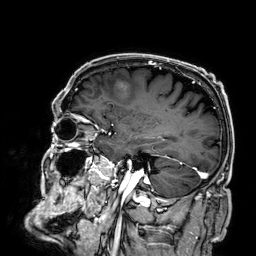
3 Tesla brain MRI. Series: 3D T1-weighted. Study: ring-enhancing brain masses.